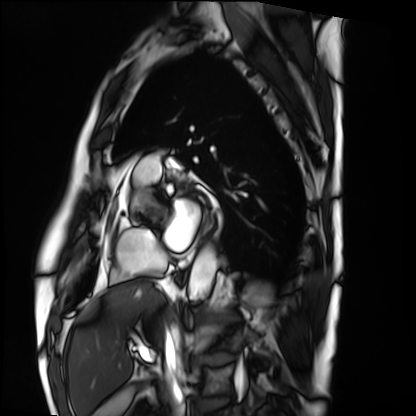
Summary:
Cardiac MRI. Subject group: patient.